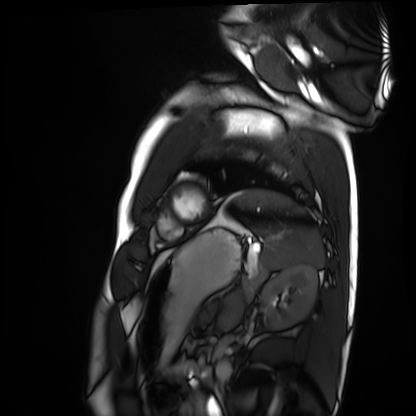
• modality · cardiac MRI
• subject group · healthy volunteer